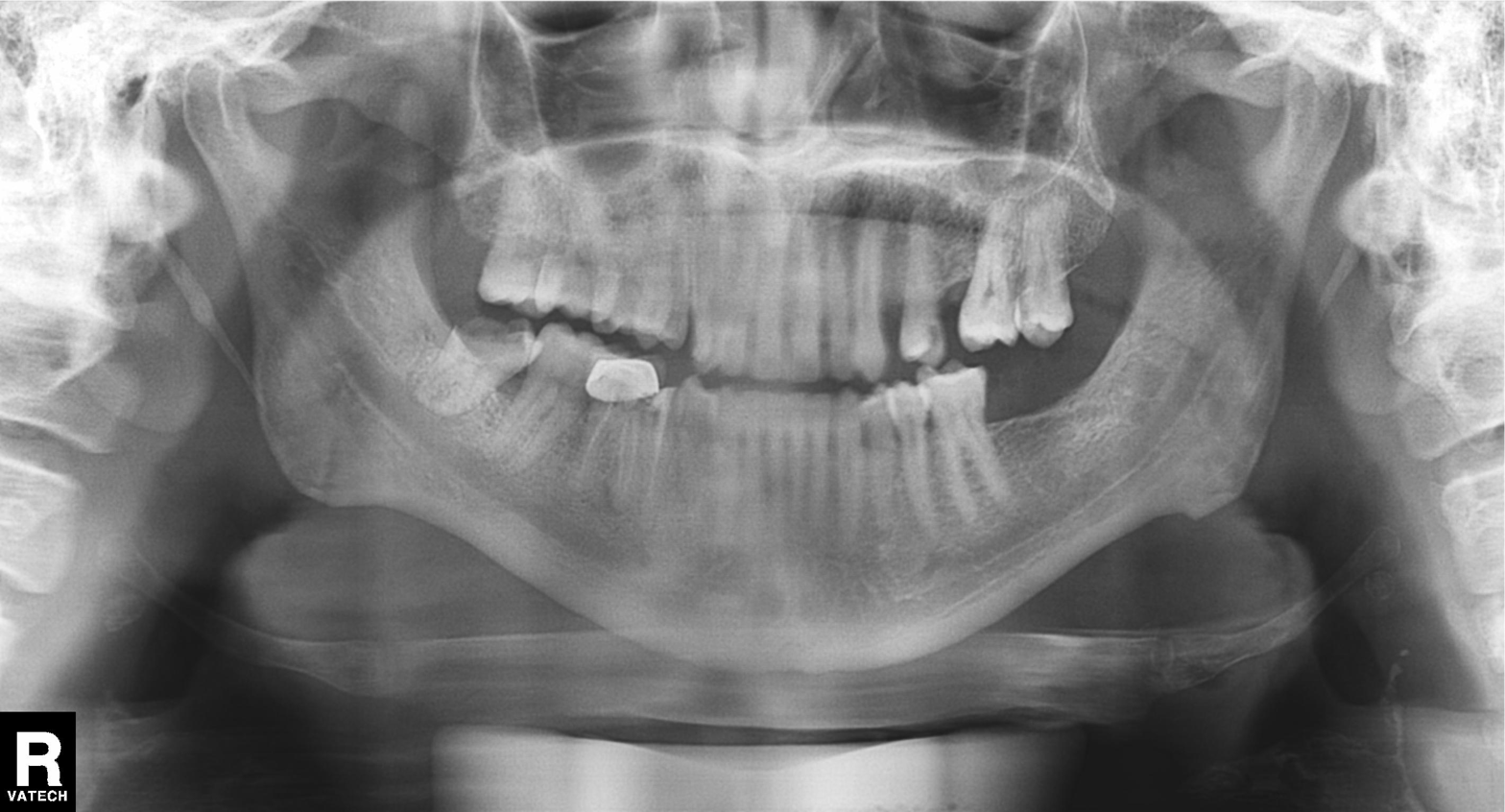
modality=panoramic dental radiograph (orthopantomogram)
finding=dental caries (cavities)